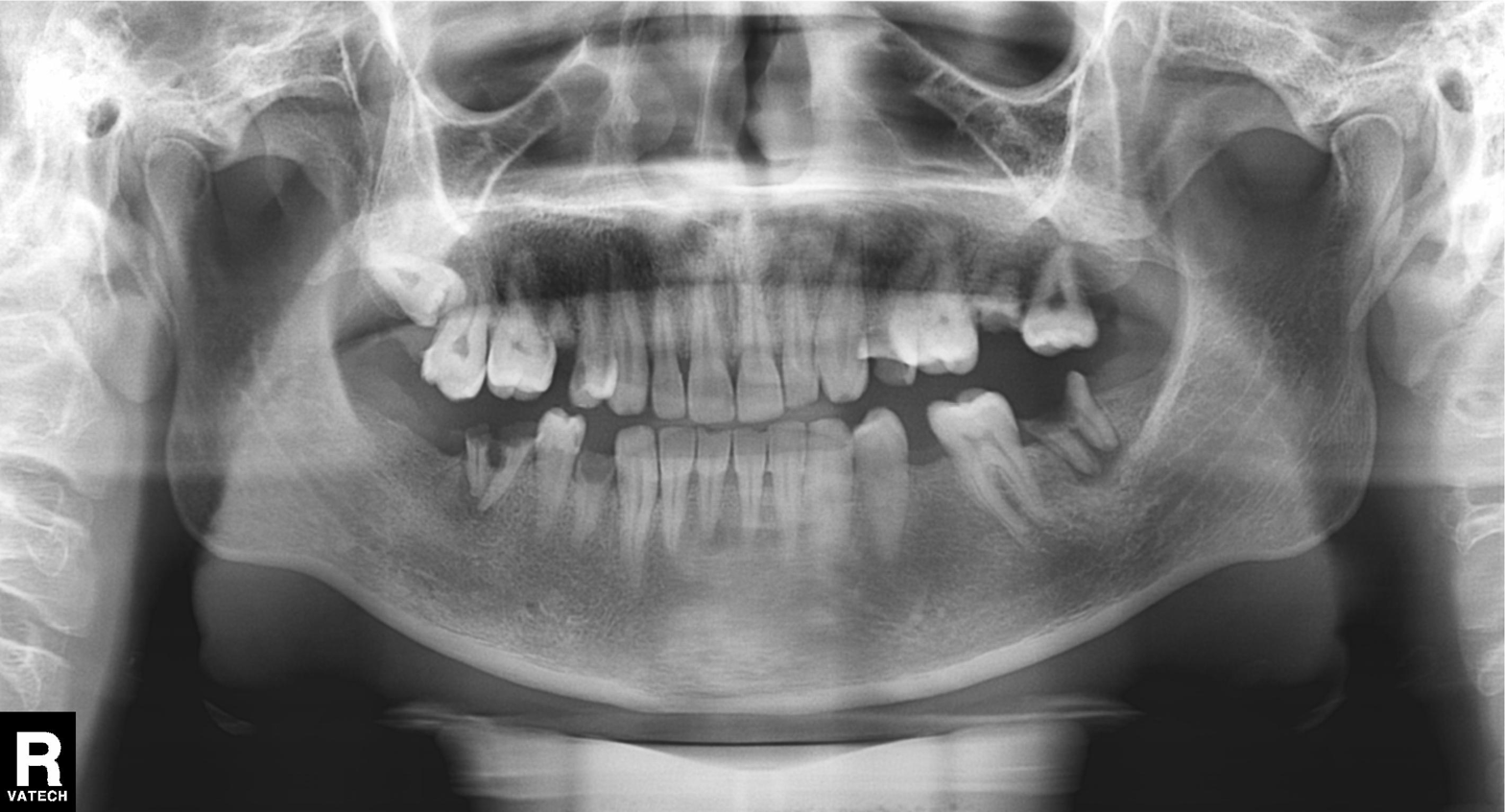
{
  "modality": "panoramic dental radiograph (orthopantomogram)",
  "finding": "alveolar bone loss"
}